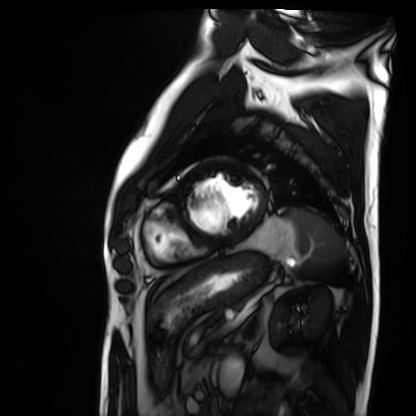
Summary: Cardiac MRI. Subject group: patient.